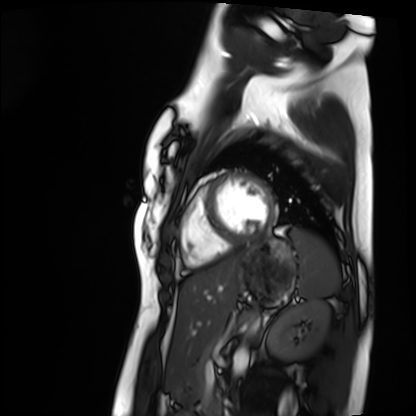
Cardiac MRI.
Subject group: healthy volunteer.